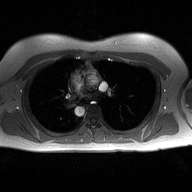
2D phase-contrast cine MRI of the ascending aorta, high-resolution GRAPPA acquisition.